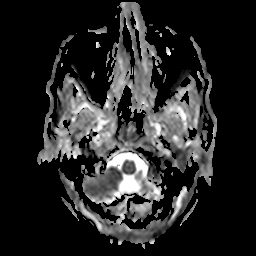
{"modality": {"type": "brain MRI", "field_strength": "3T"}, "series": "apparent diffusion coefficient (ADC) map", "study_topic": "ring-enhancing brain masses"}